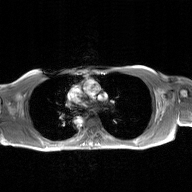
modality — 2D phase-contrast cine MRI of the ascending aorta, GAN super-resolution reconstruction